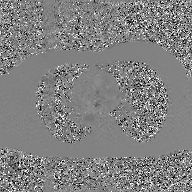
modality: 2D phase-contrast cine MRI of the ascending aorta, GAN super-resolution reconstruction